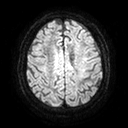
modality: 3 Tesla brain MRI; study: ring-enhancing brain masses.